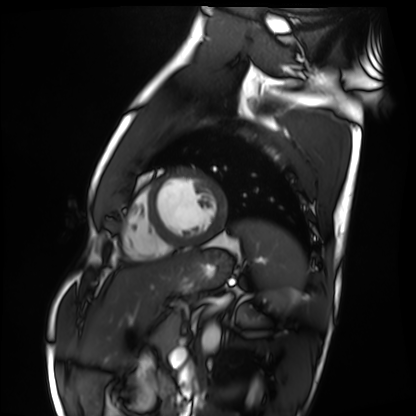
Q: What kind of scan is this?
A: Cardiac MRI.
Subject group: healthy volunteer.